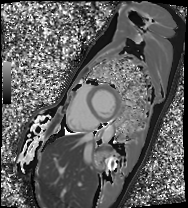
modality: cardiac MRI
subject group: patient